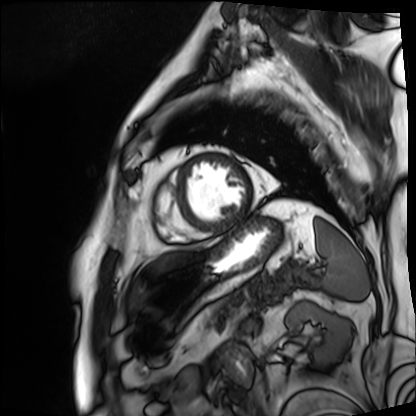
Cardiac MRI. Subject group: patient.